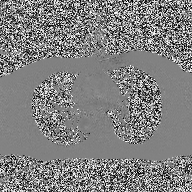
modality: 2D phase-contrast cine MRI of the ascending aorta